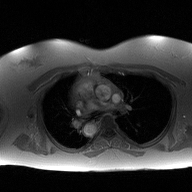
modality=2D phase-contrast cine MRI of the ascending aorta.